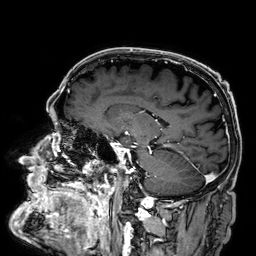
Summary: 3 Tesla brain MRI. Series: 3D T1-weighted. Study: ring-enhancing brain masses.